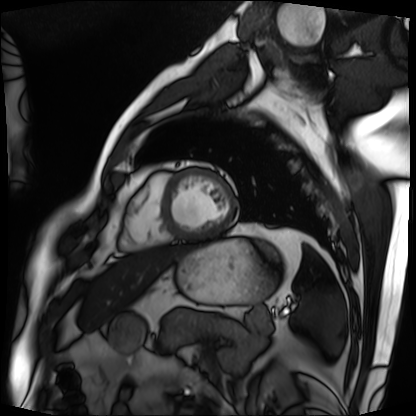
Case summary: Cardiac MRI. Subject group: patient.